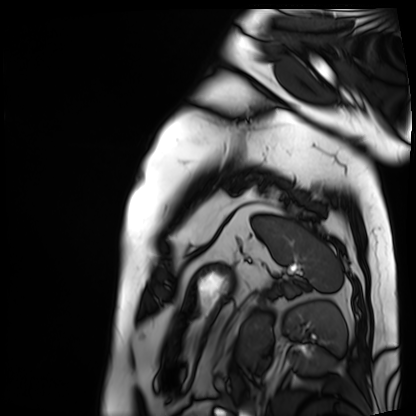
modality=cardiac MRI; subject group=patient.